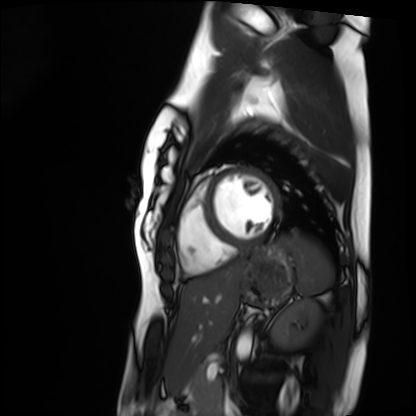
modality — cardiac MRI | subject group — healthy volunteer.